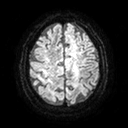
Q: What kind of scan is this?
A: 3 Tesla brain MRI.
Q: Series?
A: Diffusion tensor imaging (medium iso).
Study: ring-enhancing brain masses.